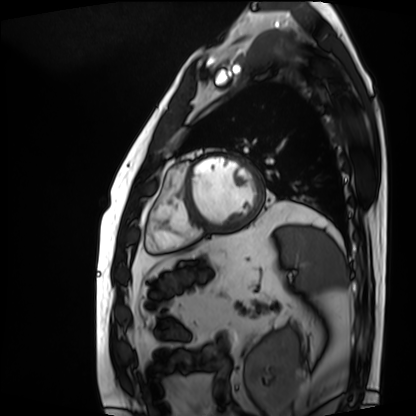
Summary:
Cardiac MRI. Subject group: patient.